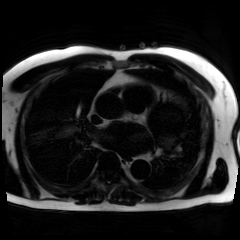
Chemical-shift-encoded cardiac MRI.